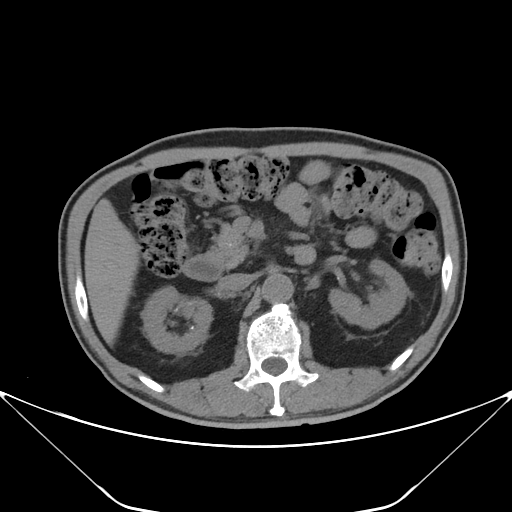
Multiphase abdominal CT, liver, non-contrast phase. Patient: male, age 67.